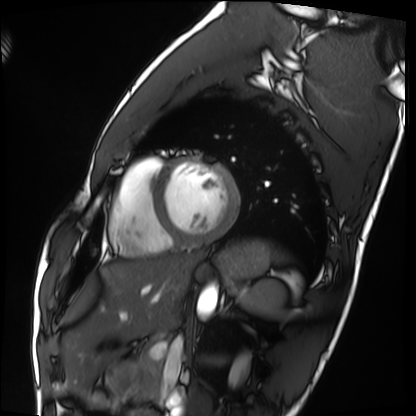
Cardiac MRI. Subject group: healthy volunteer.